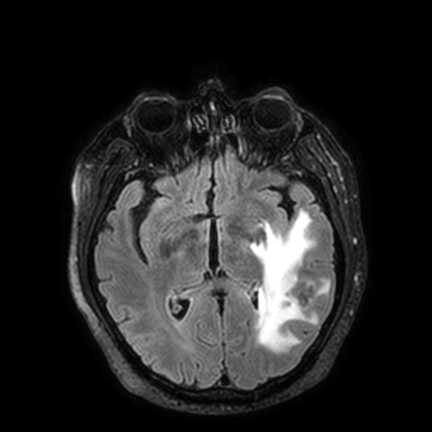
modality=3 Tesla brain MRI | series=FLAIR VISTA with SENSE | study=ring-enhancing brain masses.